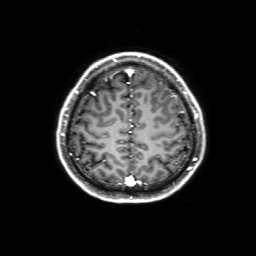
modality: 3 Tesla brain MRI; series: 3D T1-weighted with SENSE; study: ring-enhancing brain masses.